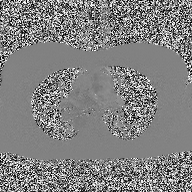
2D phase-contrast cine MRI of the ascending aorta, high-resolution GRAPPA acquisition.